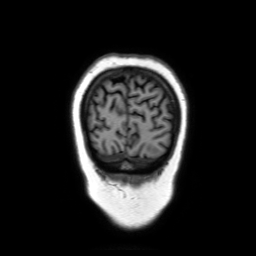
3 Tesla brain MRI. Series: coronal without contrast. Study: ring-enhancing brain masses.